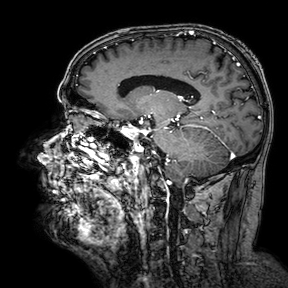
modality = 3 Tesla brain MRI; series = 3D T1-weighted turbo field echo with SENSE; study = ring-enhancing brain masses.